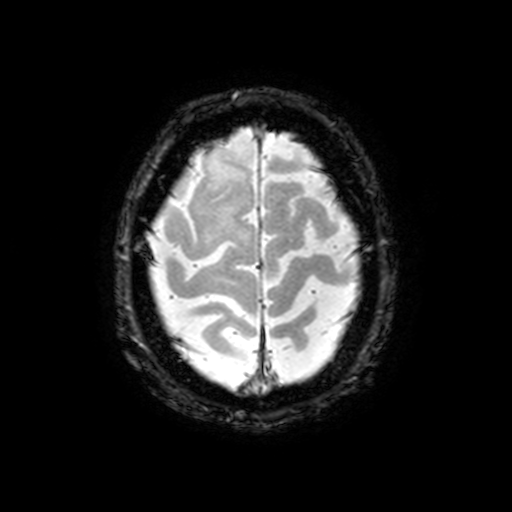
3 Tesla brain MRI. Series: T2-weighted fast field echo with SENSE. Study: ring-enhancing brain masses.